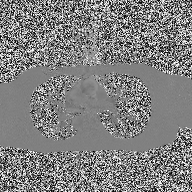
modality: 2D phase-contrast cine MRI of the ascending aorta.